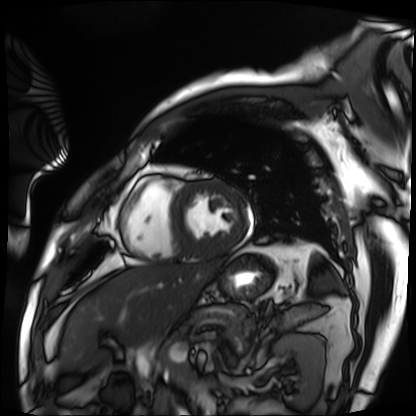
Cardiac MRI. Subject group: patient.